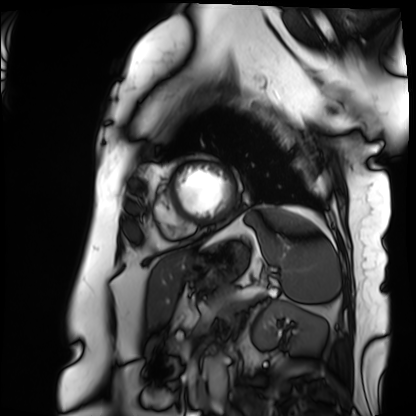
Cardiac MRI. Subject group: patient.